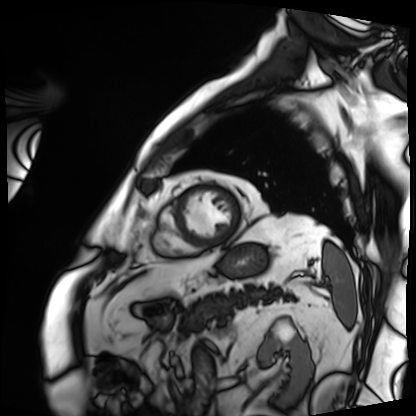
Case:
• modality — cardiac MRI
• subject group — patient